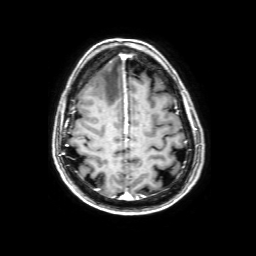
modality=3 Tesla brain MRI | series=3D T1-weighted with SENSE | study=ring-enhancing brain masses.